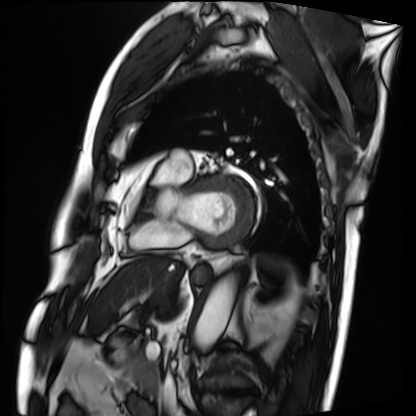
modality = cardiac MRI, subject group = patient.